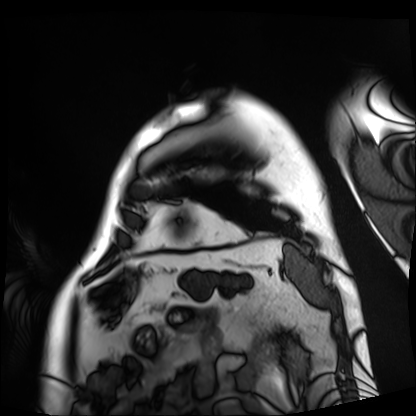
Case:
* modality — cardiac MRI
* subject group — patient